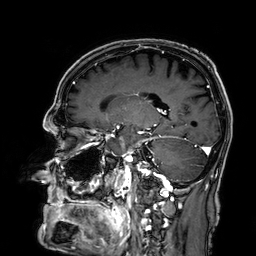
3 Tesla brain MRI. Series: 3D T1-weighted. Study: ring-enhancing brain masses.